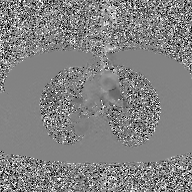
2D phase-contrast cine MRI of the ascending aorta, GAN super-resolution reconstruction.